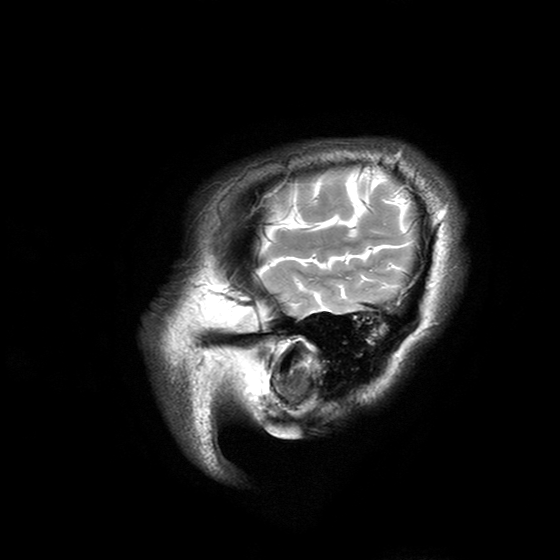
3 Tesla brain MRI. Series: T2-weighted turbo spin echo with SENSE. Study: ring-enhancing brain masses.